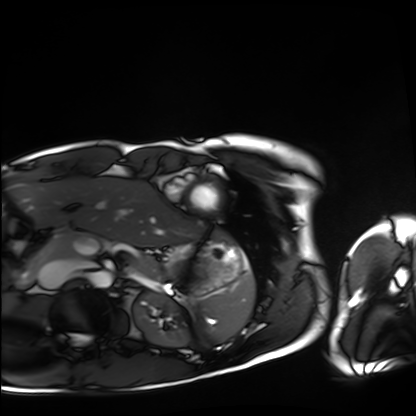
modality = cardiac MRI | subject group = healthy volunteer.